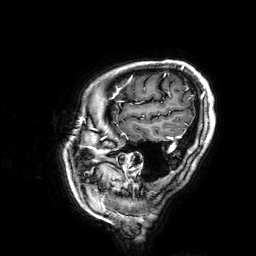
modality = 3 Tesla brain MRI | series = 3D T1-weighted | study = ring-enhancing brain masses.